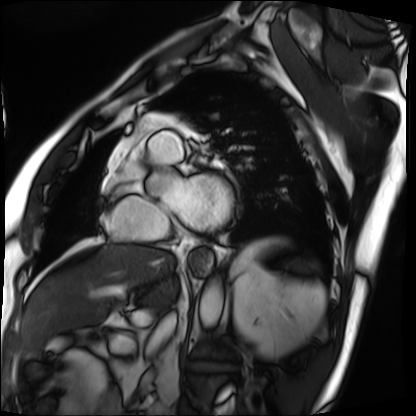
<case>
<modality>cardiac MRI</modality>
<cohort>patient</cohort>
</case>